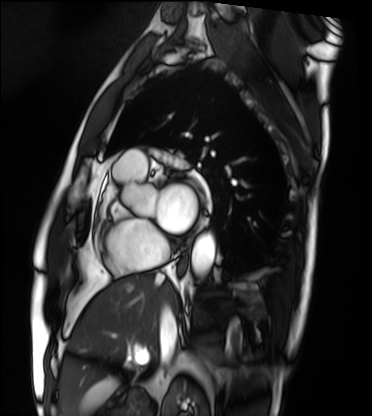
{
  "modality": "cardiac MRI",
  "cohort": "patient"
}